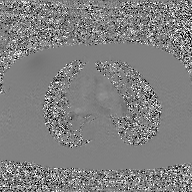
modality:
  type: 2D phase-contrast cine MRI
  region: ascending aorta
  reconstruction: GAN super-resolution reconstruction